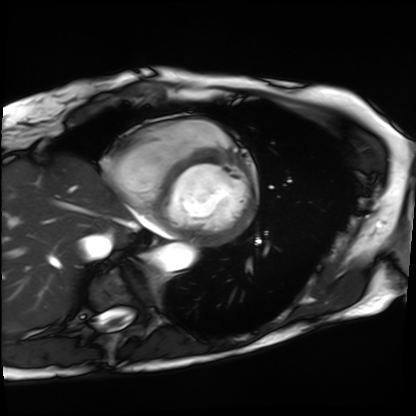
Q: What kind of scan is this?
A: Cardiac MRI.
Subject group: patient.